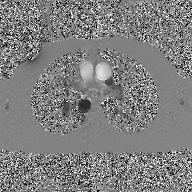
Clinical context:
2D phase-contrast cine MRI of the ascending aorta, GAN super-resolution reconstruction.